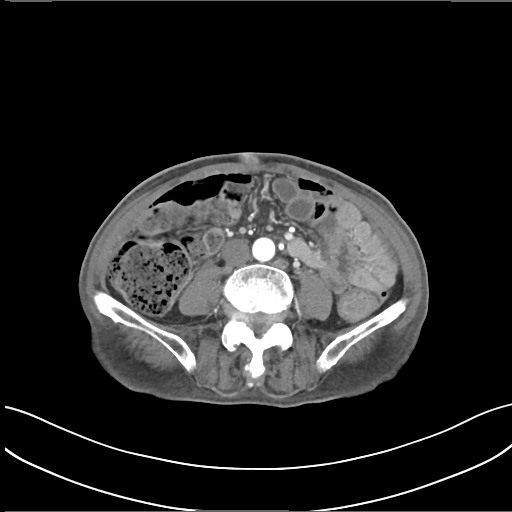
* modality — multiphase abdominal CT, liver, arterial phase
* patient — male, age 75
* history — prior chemotherapy